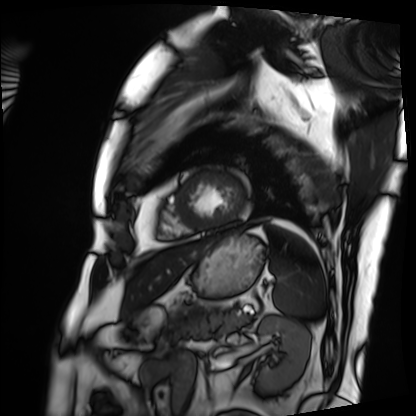
Cardiac MRI.
Subject group: patient.